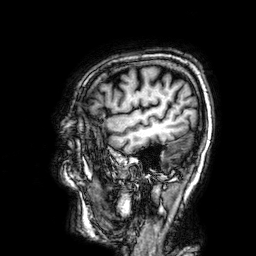
{
  "modality": {
    "type": "brain MRI",
    "field_strength": "3T"
  },
  "series": "3D T1-weighted",
  "study_topic": "ring-enhancing brain masses"
}